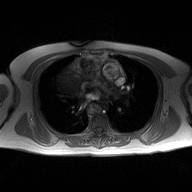
Case:
• modality: 2D phase-contrast cine MRI of the ascending aorta